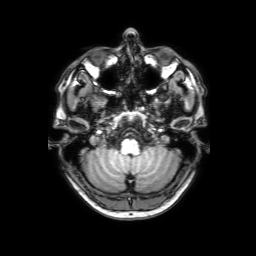
| field | value |
|---|---|
| modality | 3 Tesla brain MRI |
| series | 3D T1-weighted with SENSE |
| study | ring-enhancing brain masses |